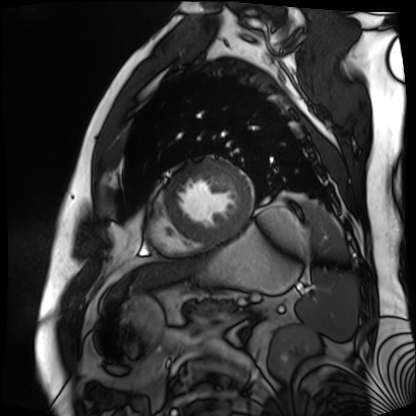
Cardiac MR image of the myocardium. Subject cohort: cardiac patient.